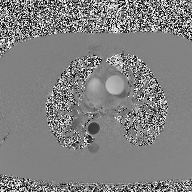
  modality:
    type: 2D phase-contrast cine MRI
    region: ascending aorta
    reconstruction: high-resolution GRAPPA acquisition